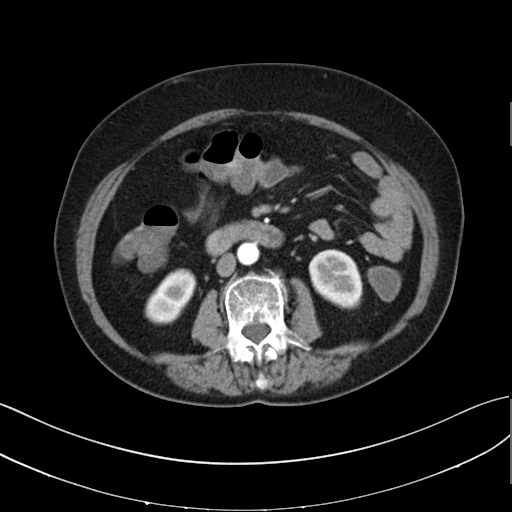
Summary: Multiphase abdominal CT, liver, arterial phase.